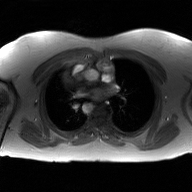
2D phase-contrast cine MRI of the ascending aorta, GAN super-resolution reconstruction.